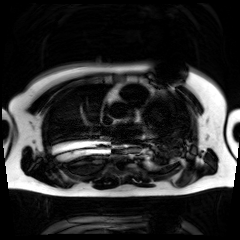
<record>
<modality>chemical-shift-encoded cardiac MRI</modality>
</record>